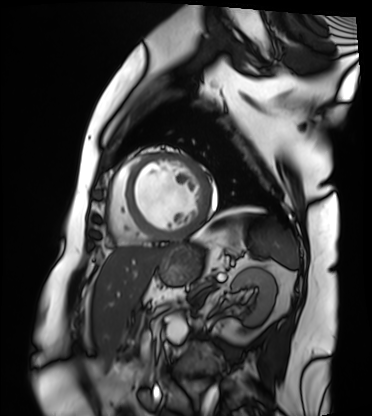
Cardiac MRI. Subject group: patient.